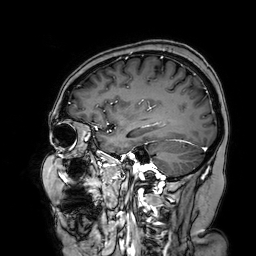
| field | value |
|---|---|
| modality | 3 Tesla brain MRI |
| series | 3D T1-weighted turbo field echo with SENSE |
| study | ring-enhancing brain masses |